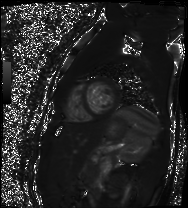
Cardiac MR image of the myocardium.
Subject cohort: healthy volunteer.